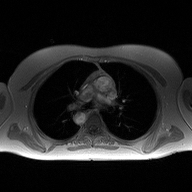
{"modality": {"type": "2D phase-contrast cine MRI", "region": "ascending aorta", "reconstruction": "high-resolution GRAPPA acquisition"}}